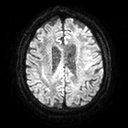
3 Tesla brain MRI. Series: diffusion tensor imaging (medium iso). Study: ring-enhancing brain masses.